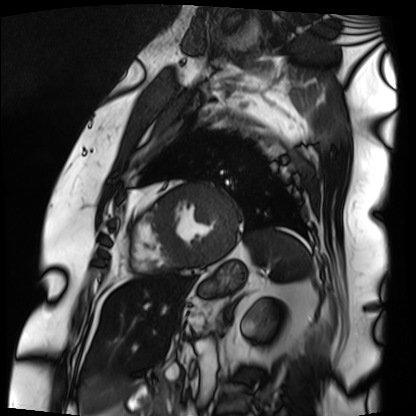
Summary: Cardiac MRI. Subject group: patient.